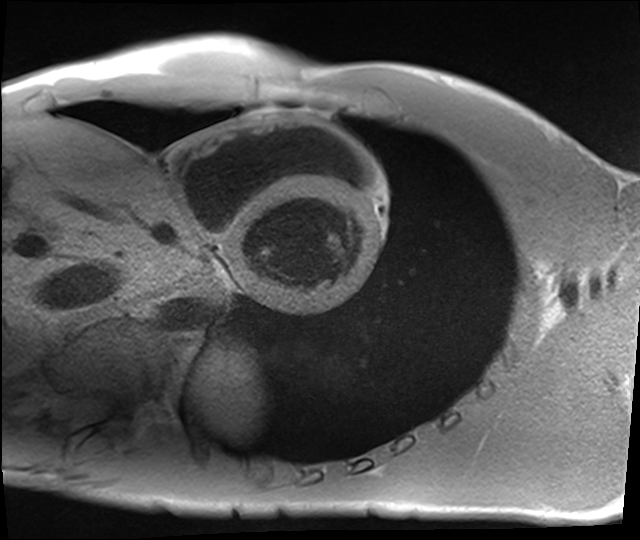
Summary:
Cardiac MRI. Subject group: healthy volunteer.